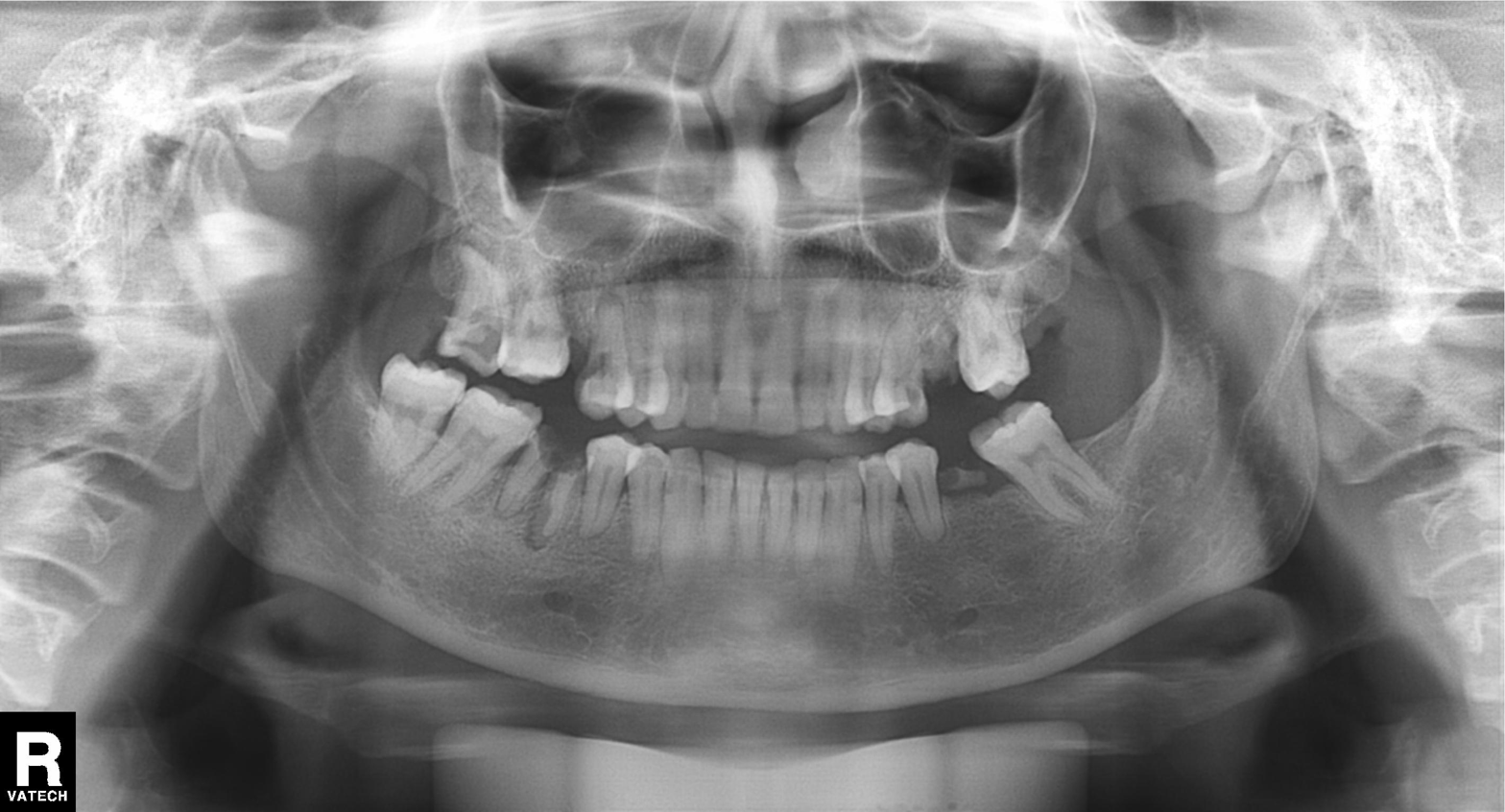
modality: panoramic dental radiograph (orthopantomogram), finding: alveolar bone loss.